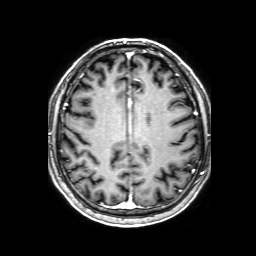
3 Tesla brain MRI. Series: 3D T1-weighted with SENSE. Study: ring-enhancing brain masses.